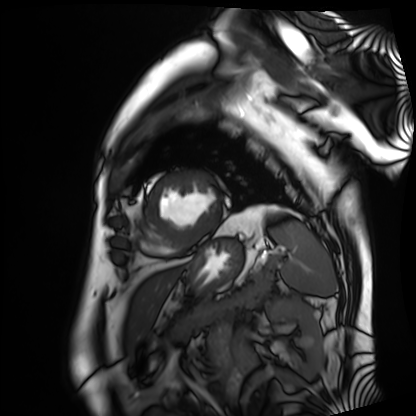
Case summary:
Cardiac MRI. Subject group: patient.